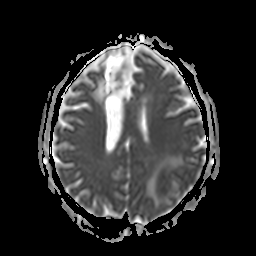
3 Tesla brain MRI.
Series: apparent diffusion coefficient (ADC) map.
Study: ring-enhancing brain masses.